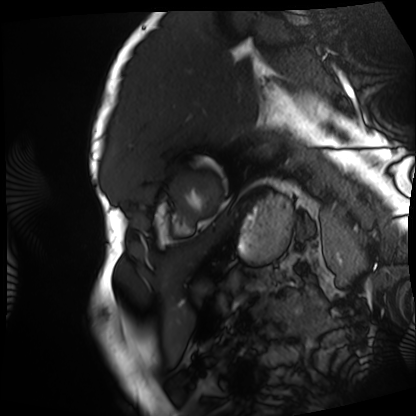
Cardiac MRI. Subject group: patient.